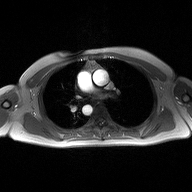
<record>
  <modality>
    <type>2D phase-contrast cine MRI</type>
    <region>ascending aorta</region>
    <reconstruction>high-resolution GRAPPA acquisition</reconstruction>
  </modality>
</record>